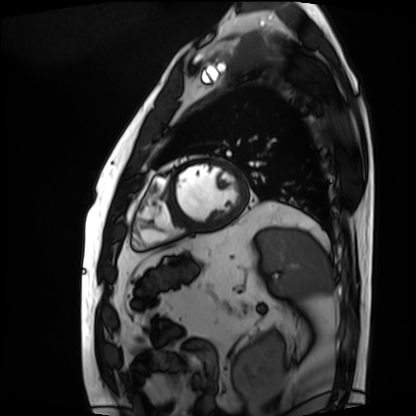
Summary: Cardiac MRI. Subject group: patient.